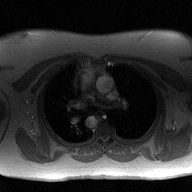
modality = 2D phase-contrast cine MRI of the ascending aorta.